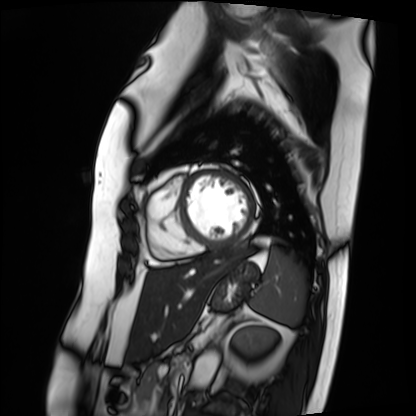
Cardiac MRI. Subject group: patient.